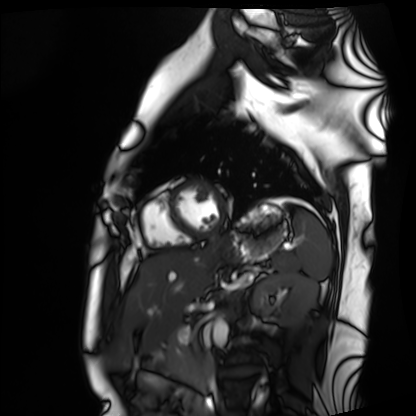
{"modality": "cardiac MRI", "cohort": "healthy volunteer"}